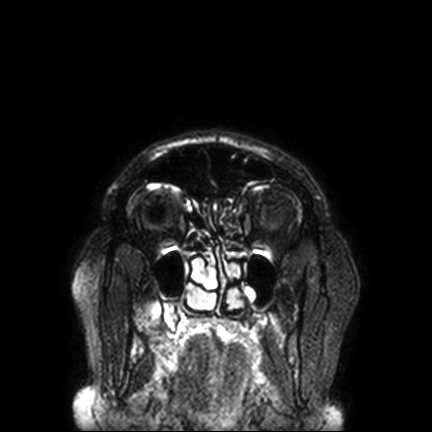
Summary: 3 Tesla brain MRI. Series: FLAIR VISTA with SENSE. Study: ring-enhancing brain masses.